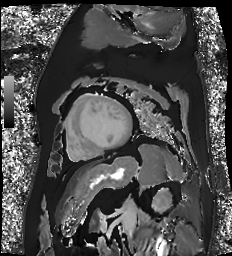
Summary: Cardiac MR image of the myocardium. Subject cohort: cardiac patient.